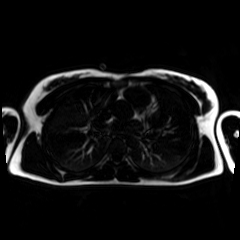
modality: chemical-shift-encoded cardiac MRI.